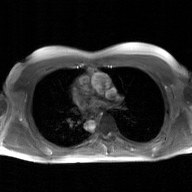
modality: 2D phase-contrast cine MRI of the ascending aorta, GAN super-resolution reconstruction.